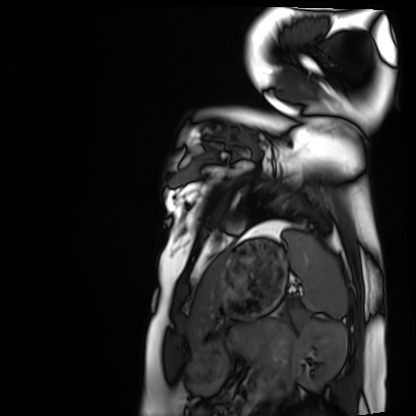
Summary: Cardiac MRI. Subject group: healthy volunteer.